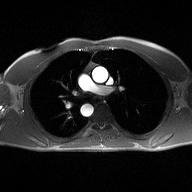
{"modality": {"type": "2D phase-contrast cine MRI", "region": "ascending aorta", "reconstruction": "high-resolution GRAPPA acquisition"}}